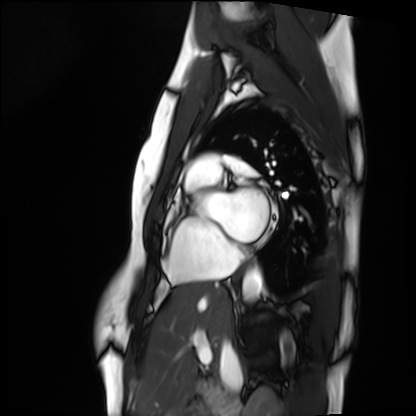
Cardiac MRI.
Subject group: healthy volunteer.